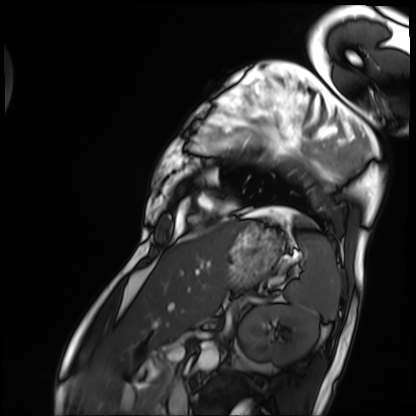
| field | value |
|---|---|
| modality | cardiac MRI |
| subject group | patient |